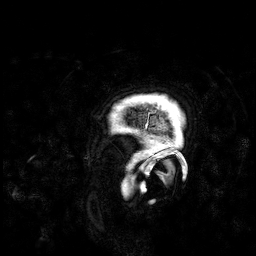
Case:
• modality — 3 Tesla brain MRI
• series — 3D T1-weighted
• study — ring-enhancing brain masses